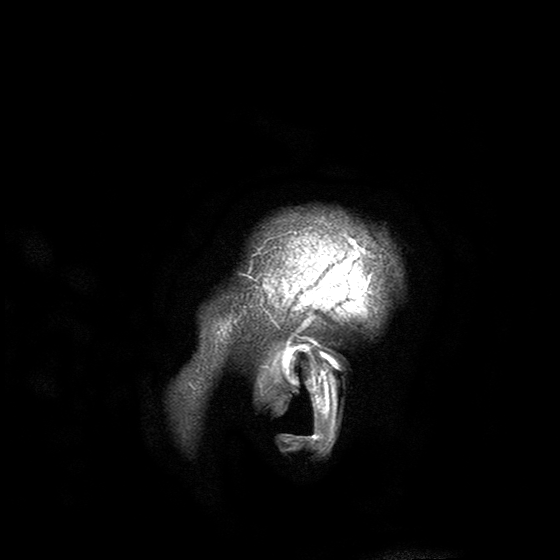
3 Tesla brain MRI. Series: T2-weighted turbo spin echo with SENSE. Study: ring-enhancing brain masses.